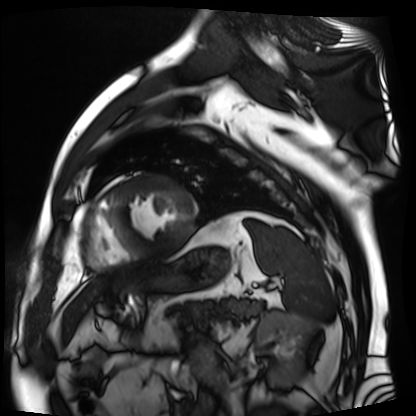
| field | value |
|---|---|
| modality | cardiac MR image of the myocardium |
| subject cohort | cardiac patient |